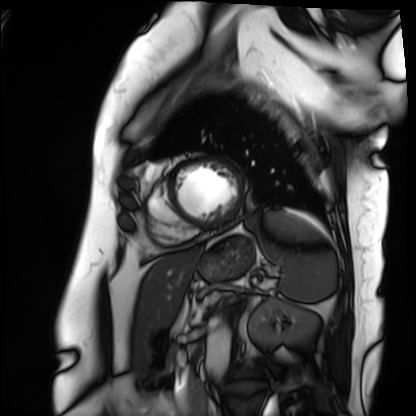
Cardiac MRI. Subject group: patient.